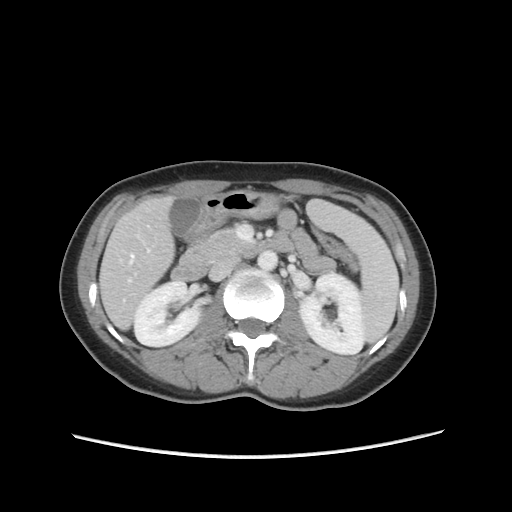
Summary:
Multiphase abdominal CT, liver, portal venous phase. Patient: female, age 36.